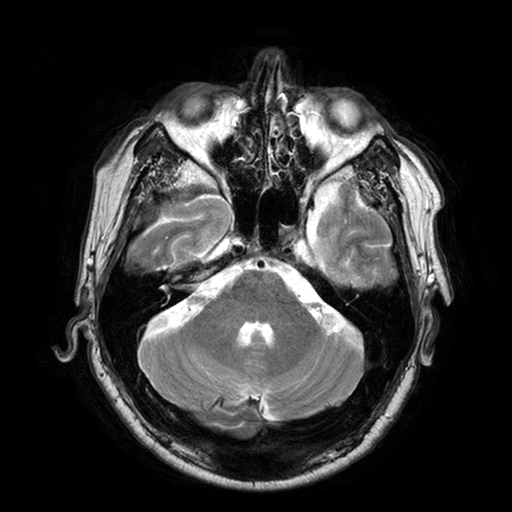
3 Tesla brain MRI. Series: T2-weighted turbo spin echo with SENSE. Study: ring-enhancing brain masses.